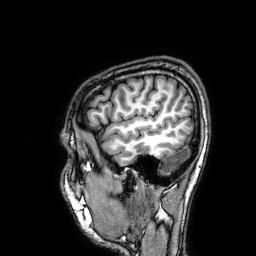
modality — 3 Tesla brain MRI
series — 3D T1-weighted
study — ring-enhancing brain masses